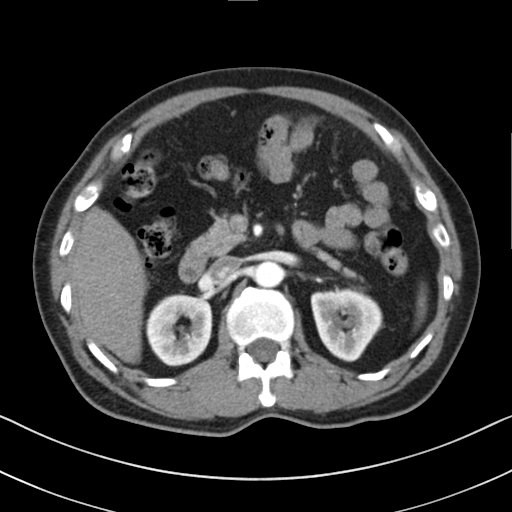
Summary:
Multiphase abdominal CT, liver, arterial phase. Patient: male, age 60. History: cirrhosis, viral hepatitis.